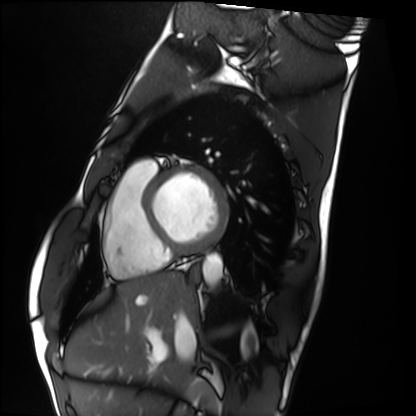
Cardiac MRI. Subject group: healthy volunteer.